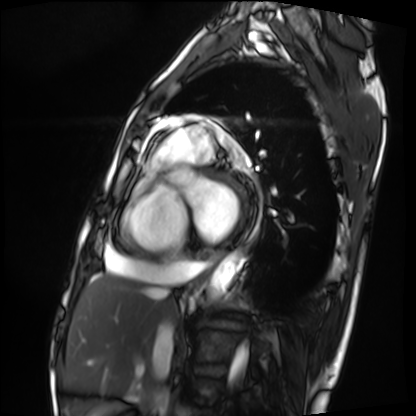
modality: cardiac MRI
subject group: patient